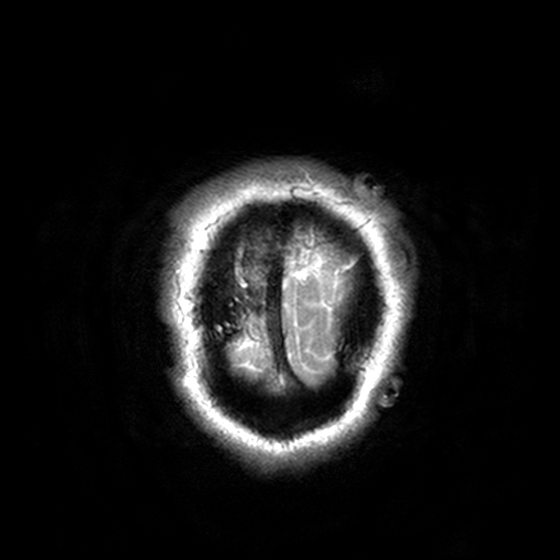
  modality:
    type: brain MRI
    field_strength: 3T
  series: T2-weighted turbo spin echo, 3 mm
  study_topic: ring-enhancing brain masses